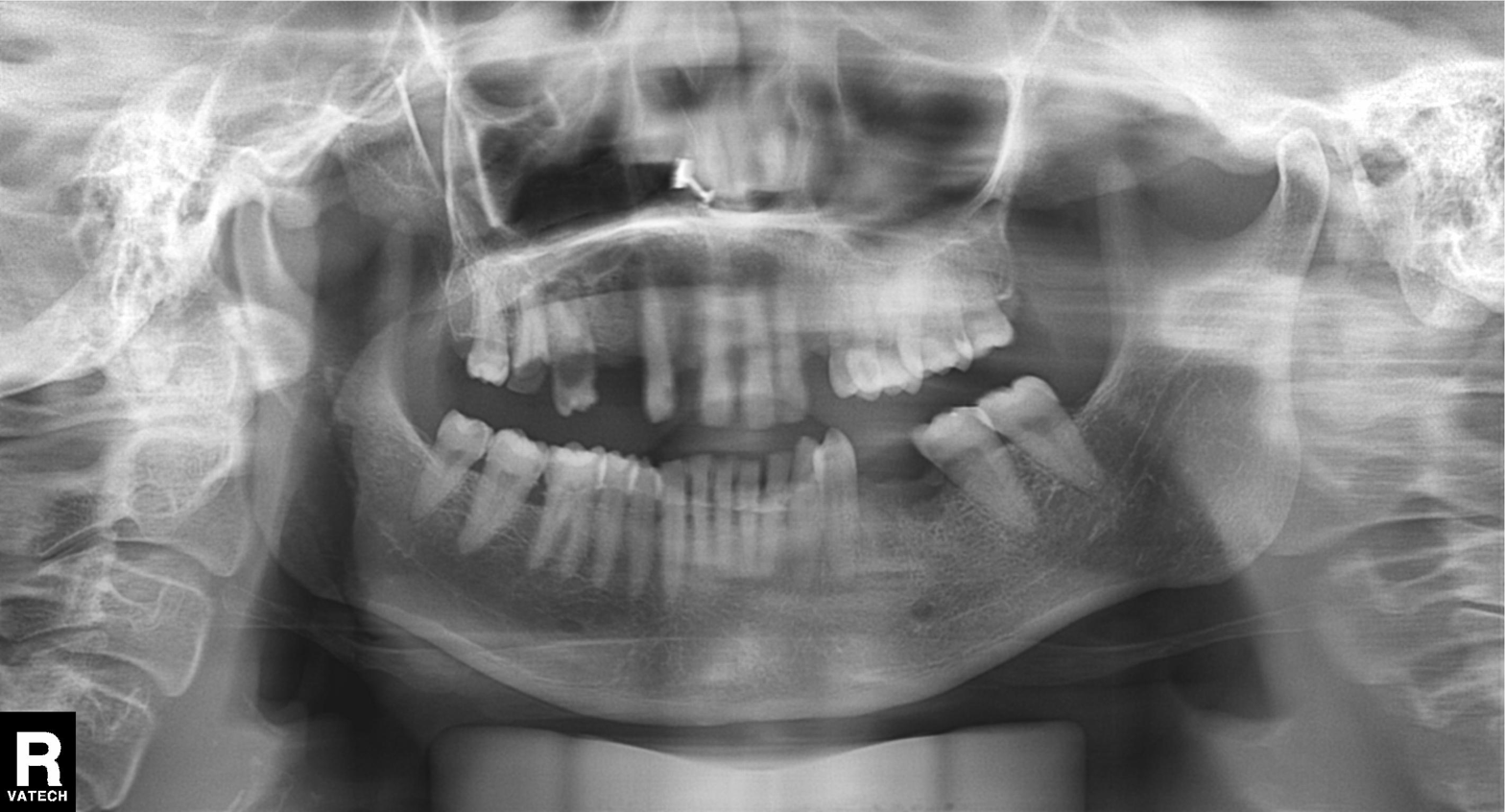
<study>
  <modality>panoramic dental radiograph (orthopantomogram)</modality>
  <finding>alveolar bone loss</finding>
</study>